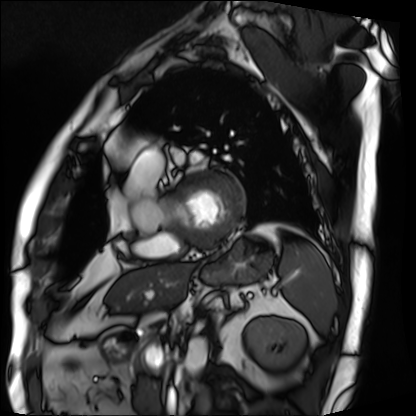
Cardiac MRI. Subject group: patient.